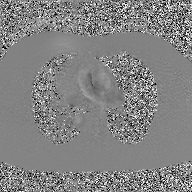
Case summary:
2D phase-contrast cine MRI of the ascending aorta, GAN super-resolution reconstruction.